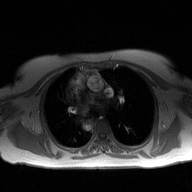
* modality · 2D phase-contrast cine MRI of the ascending aorta